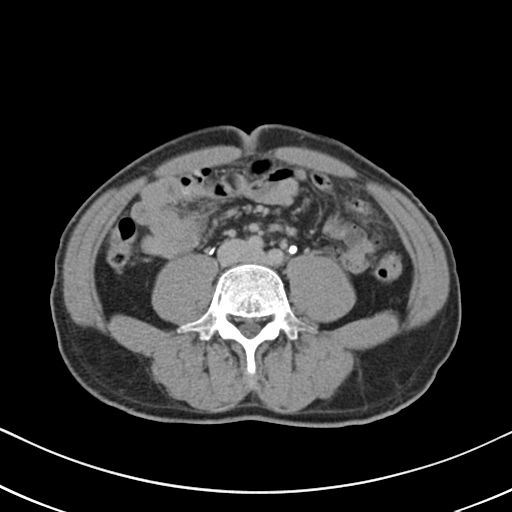
Multiphase abdominal CT, liver, delayed phase.
Patient: male, age 57.
History: cirrhosis, viral hepatitis.